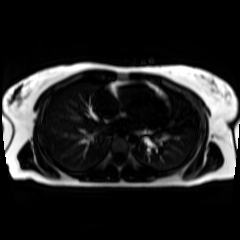
Chemical-shift-encoded cardiac MRI.